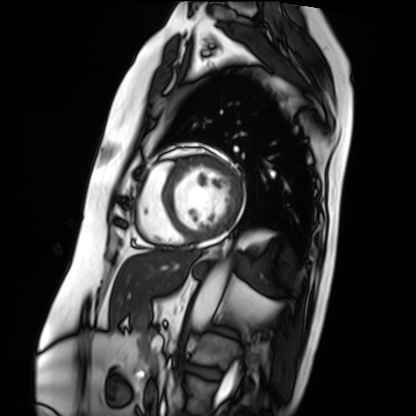
Case summary: Cardiac MRI. Subject group: patient.